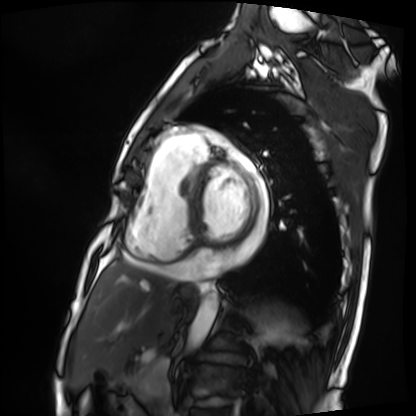
Cardiac MRI.
Subject group: patient.